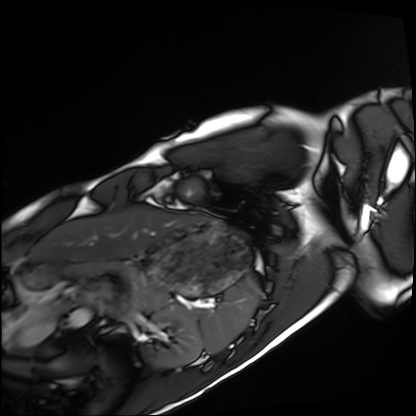
Cardiac MRI. Subject group: healthy volunteer.